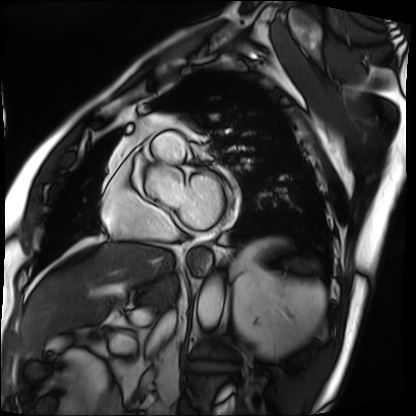
modality: cardiac MRI; subject group: patient.